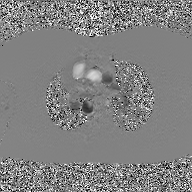
2D phase-contrast cine MRI of the ascending aorta, GAN super-resolution reconstruction.